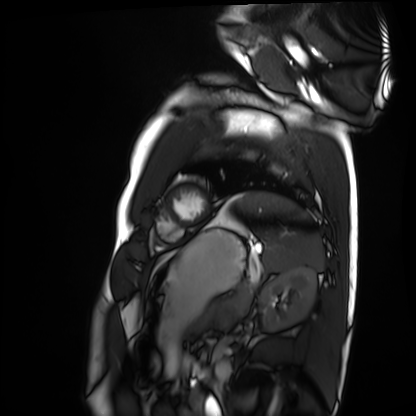
Cardiac MRI.
Subject group: healthy volunteer.